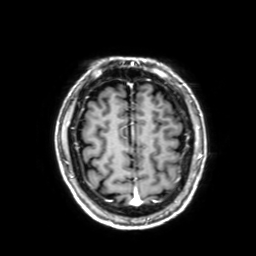
3 Tesla brain MRI. Series: 3D T1-weighted with SENSE. Study: ring-enhancing brain masses.